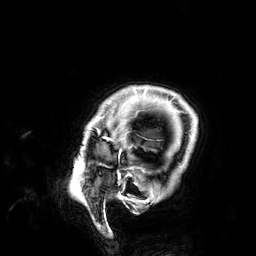
modality: 3 Tesla brain MRI | series: 3D T1-weighted | study: ring-enhancing brain masses.